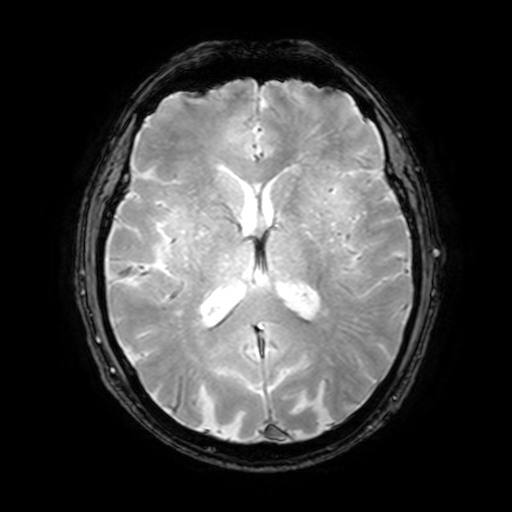
Q: What kind of scan is this?
A: 3 Tesla brain MRI.
Q: Series?
A: T2-weighted fast field echo with SENSE.
Study: ring-enhancing brain masses.